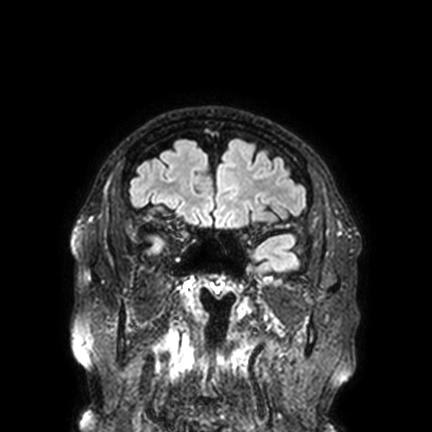
* modality: 3 Tesla brain MRI
* series: FLAIR VISTA with SENSE
* study: ring-enhancing brain masses